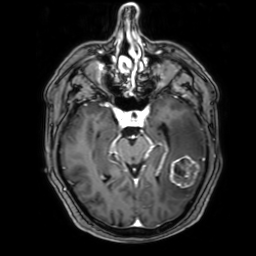
{
  "modality": {
    "type": "brain MRI",
    "field_strength": "3T"
  },
  "series": "3D T1-weighted with SENSE",
  "study_topic": "ring-enhancing brain masses"
}